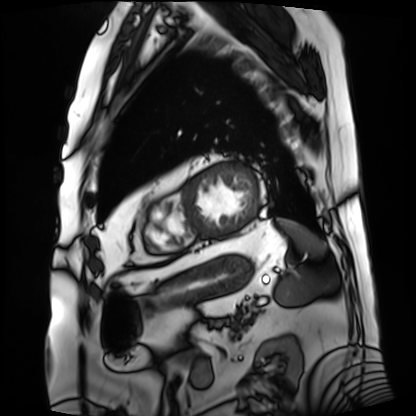
Cardiac MRI. Subject group: patient.